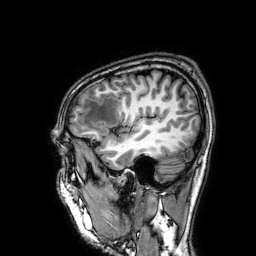
* modality: 3 Tesla brain MRI
* series: 3D T1-weighted
* study: ring-enhancing brain masses